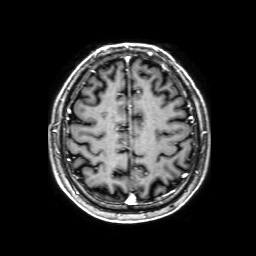
3 Tesla brain MRI. Series: 3D T1-weighted with SENSE. Study: ring-enhancing brain masses.